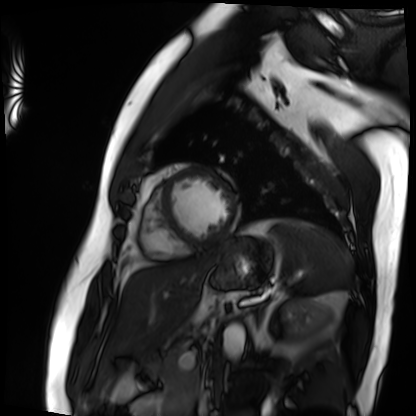
Cardiac MRI.
Subject group: patient.